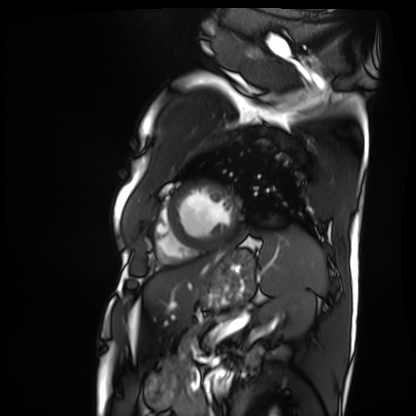
- modality — cardiac MRI
- subject group — patient